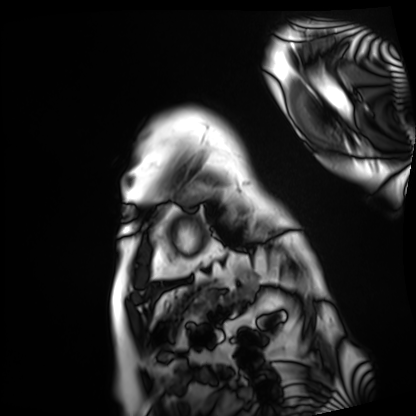
Cardiac MRI.
Subject group: patient.